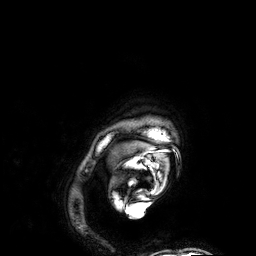
{"modality": {"type": "brain MRI", "field_strength": "3T"}, "study_topic": "ring-enhancing brain masses"}